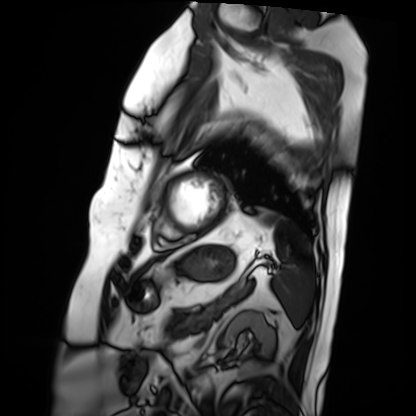
Clinical context:
Cardiac MRI. Subject group: patient.